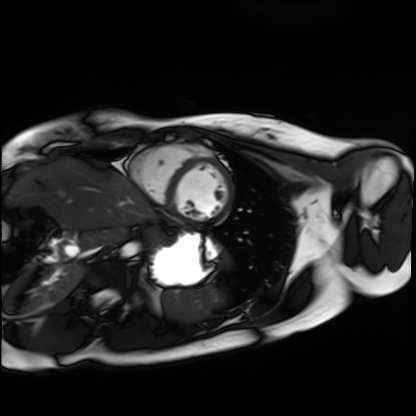
Summary:
Cardiac MRI. Subject group: healthy volunteer.